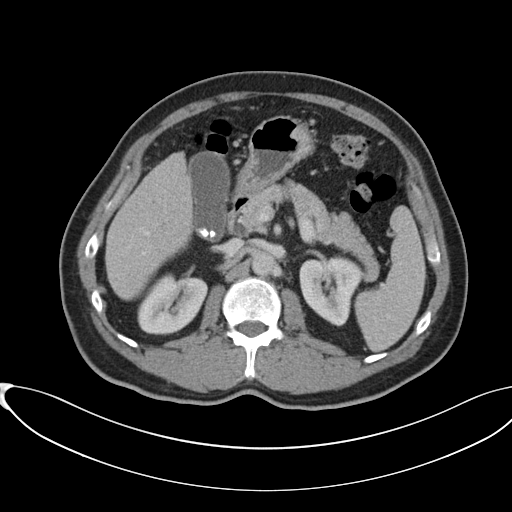
{"modality": {"type": "multiphase abdominal CT", "region": "liver", "phase": "portal venous"}, "patient": {"sex": "male", "age": 60}, "history": ["cirrhosis", "viral hepatitis"]}